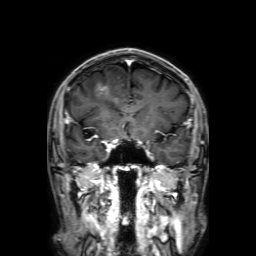
3 Tesla brain MRI. Series: 3D T1-weighted with SENSE. Study: ring-enhancing brain masses.